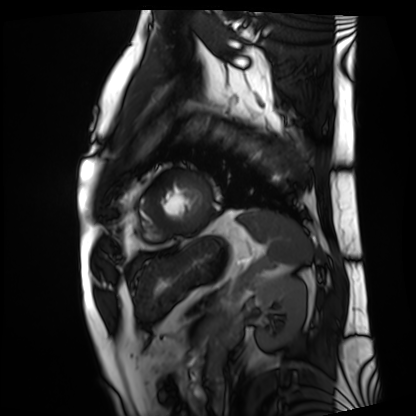
Cardiac MRI. Subject group: patient.